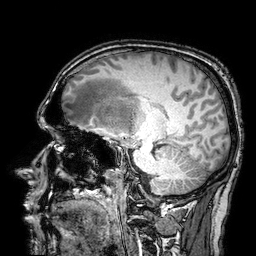
3 Tesla brain MRI. Study: ring-enhancing brain masses.